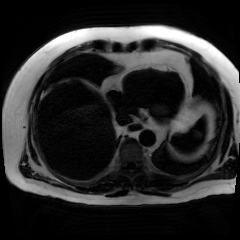
• modality — chemical-shift-encoded cardiac MRI